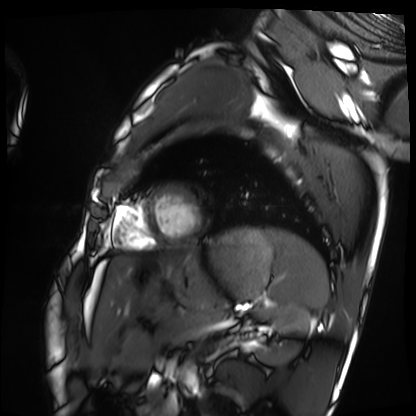
Cardiac MRI. Subject group: healthy volunteer.